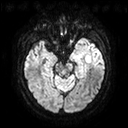
Summary:
3 Tesla brain MRI. Series: diffusion tensor imaging (medium iso). Study: ring-enhancing brain masses.